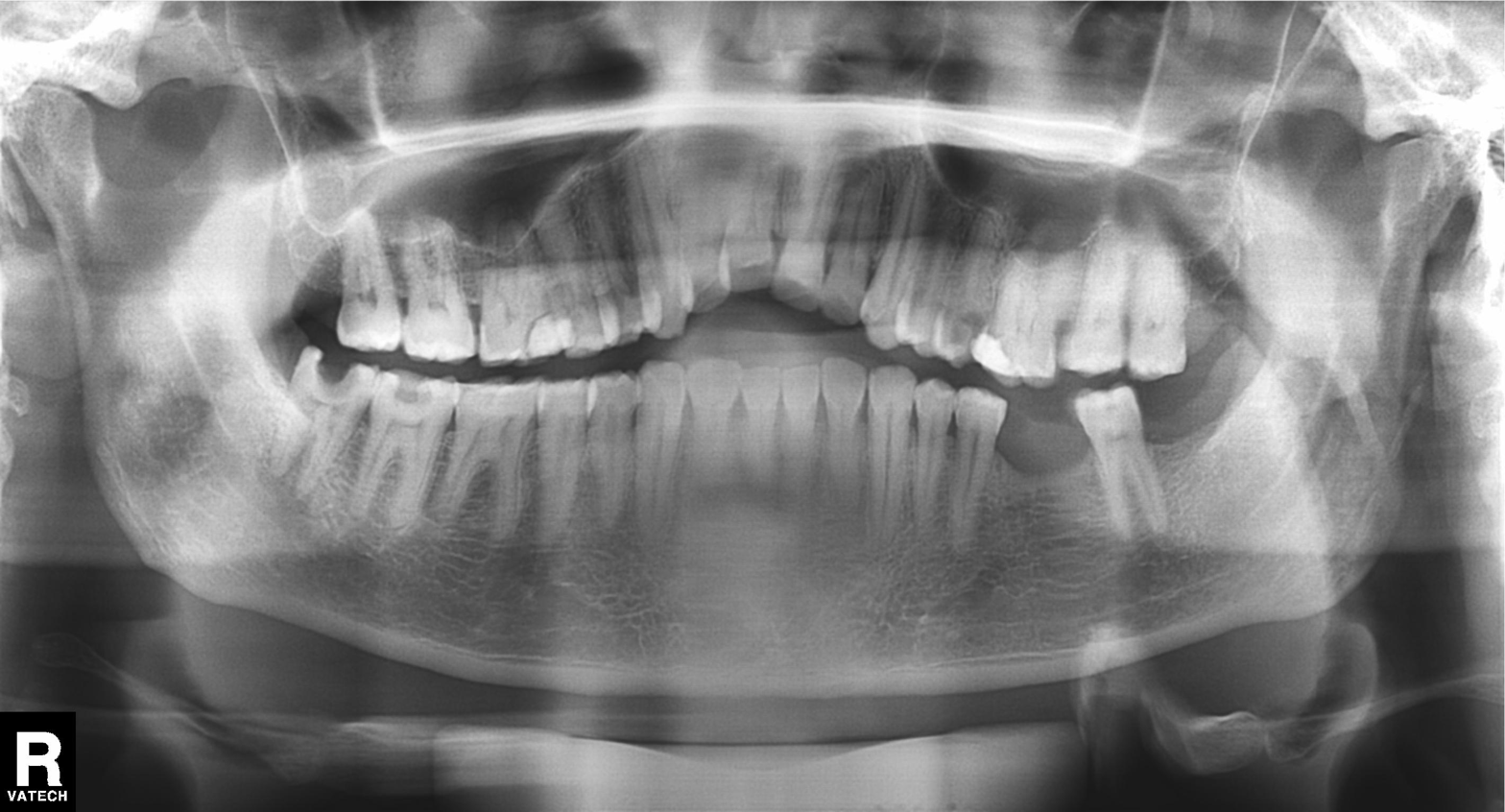
Panoramic dental radiograph (orthopantomogram). Finding: alveolar bone loss.